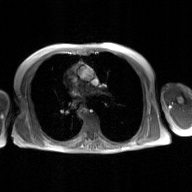
Summary: 2D phase-contrast cine MRI of the ascending aorta, GAN super-resolution reconstruction.